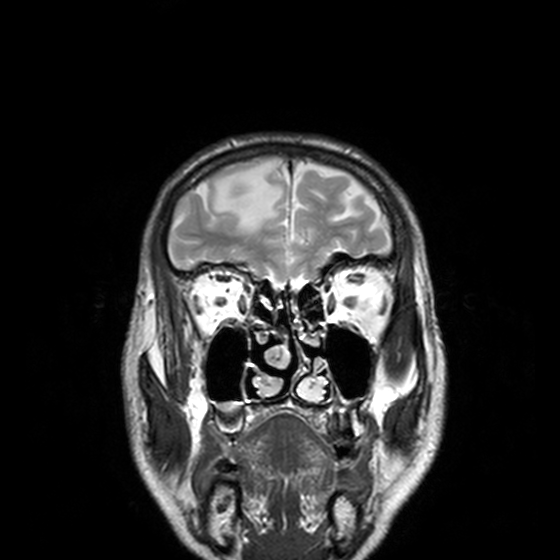
3 Tesla brain MRI. Series: T2-weighted turbo spin echo, 3 mm. Study: ring-enhancing brain masses.